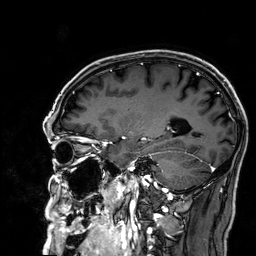
Case summary:
3 Tesla brain MRI. Series: 3D T1-weighted. Study: ring-enhancing brain masses.